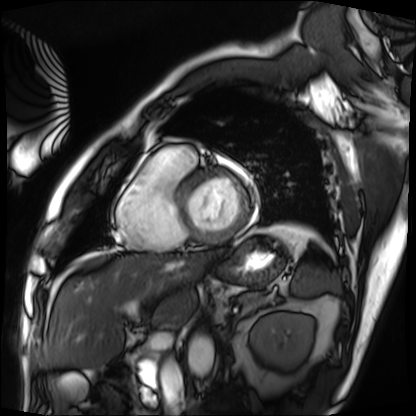
Cardiac MRI.
Subject group: patient.